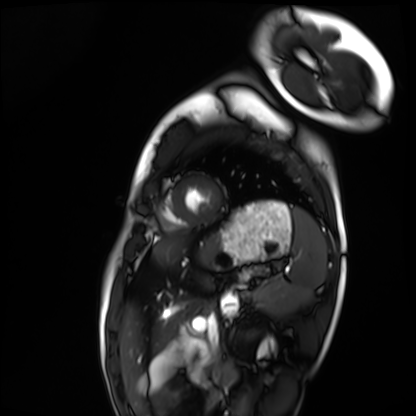
– modality — cardiac MRI
– subject group — healthy volunteer